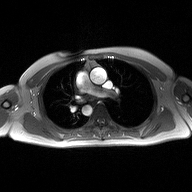
2D phase-contrast cine MRI of the ascending aorta, high-resolution GRAPPA acquisition.